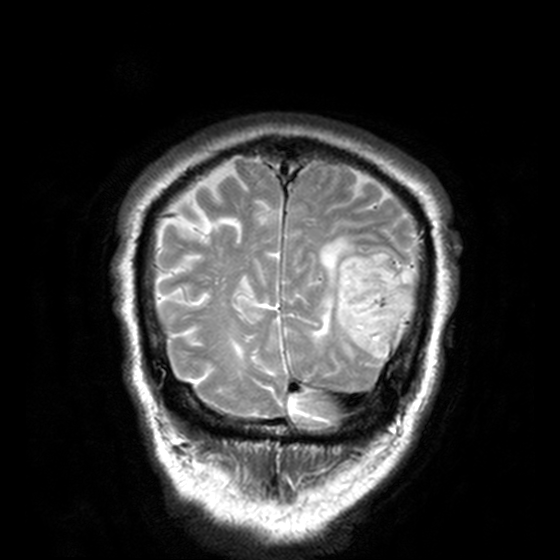
Case summary: 3 Tesla brain MRI. Series: T2-weighted turbo spin echo, 3 mm. Study: ring-enhancing brain masses.